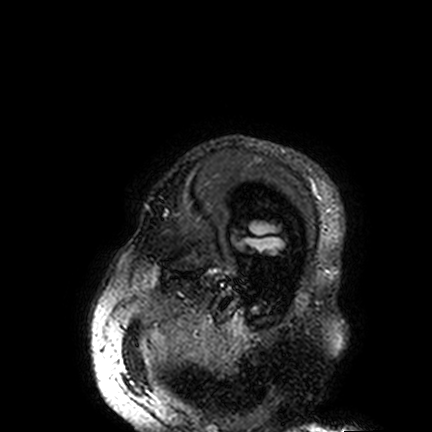
  modality:
    type: brain MRI
    field_strength: 3T
  series: FLAIR VISTA
  study_topic: ring-enhancing brain masses